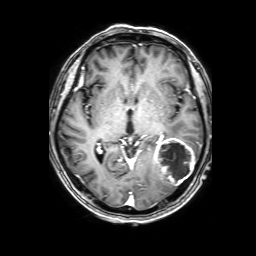
3 Tesla brain MRI. Series: 3D T1-weighted with SENSE. Study: ring-enhancing brain masses.